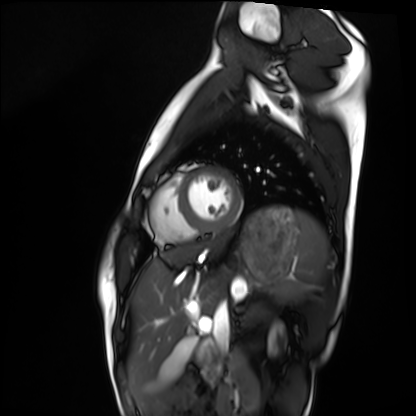
Case summary: Cardiac MRI. Subject group: healthy volunteer.